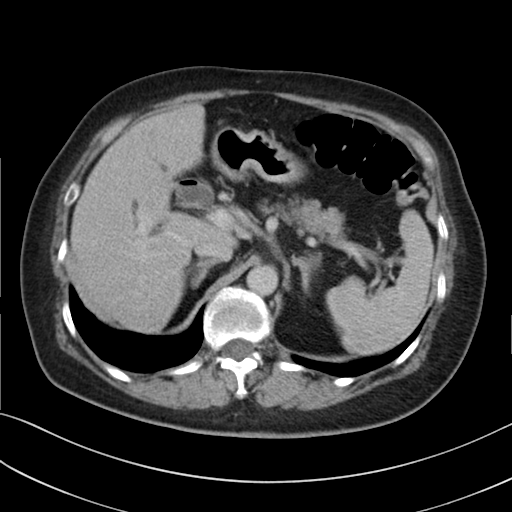
<case>
  <modality>
    <type>multiphase abdominal CT</type>
    <region>liver</region>
    <phase>delayed</phase>
  </modality>
  <patient>
    <sex>female</sex>
    <age>71</age>
  </patient>
  <history>prior chemotherapy</history>
</case>